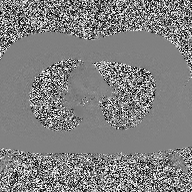
modality:
  type: 2D phase-contrast cine MRI
  region: ascending aorta
  reconstruction: high-resolution GRAPPA acquisition